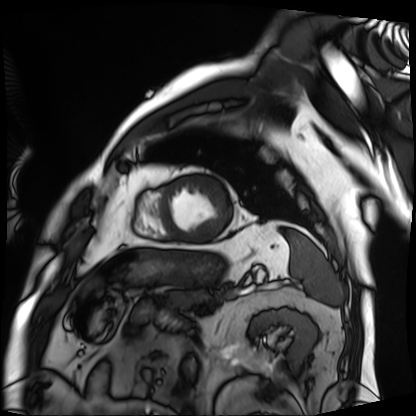
<record>
  <modality>cardiac MRI</modality>
  <cohort>patient</cohort>
</record>